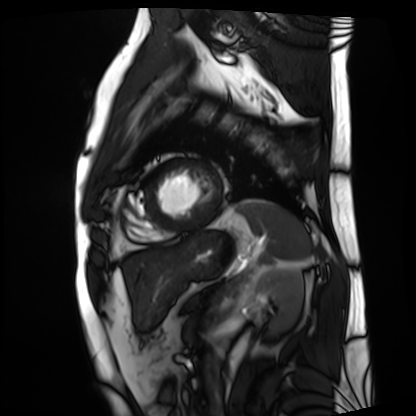
Cardiac MRI.
Subject group: patient.